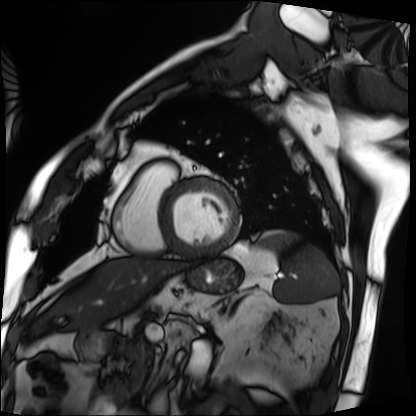
* modality — cardiac MRI
* subject group — patient